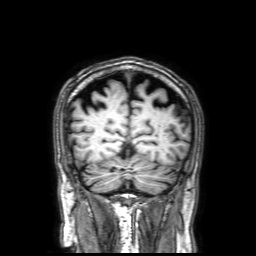
| field | value |
|---|---|
| modality | 3 Tesla brain MRI |
| series | 3D T1-weighted with SENSE |
| study | ring-enhancing brain masses |